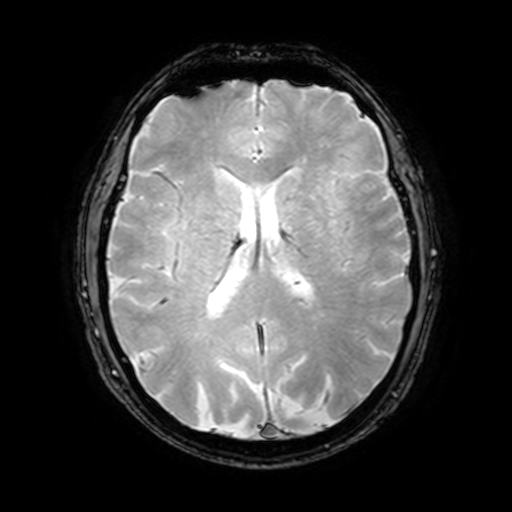
3 Tesla brain MRI.
Series: T2-weighted fast field echo with SENSE.
Study: ring-enhancing brain masses.